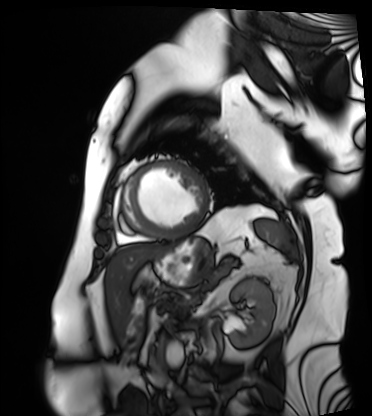
Cardiac MRI.
Subject group: patient.